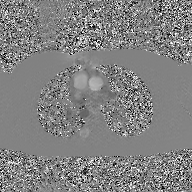
Q: What kind of scan is this?
A: 2D phase-contrast cine MRI of the ascending aorta, GAN super-resolution reconstruction.